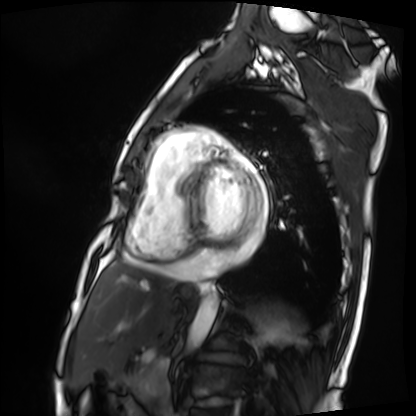
| field | value |
|---|---|
| modality | cardiac MRI |
| subject group | patient |